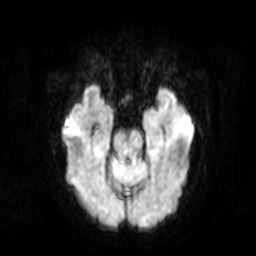
modality = 3 Tesla brain MRI | series = diffusion-weighted imaging | study = ring-enhancing brain masses.